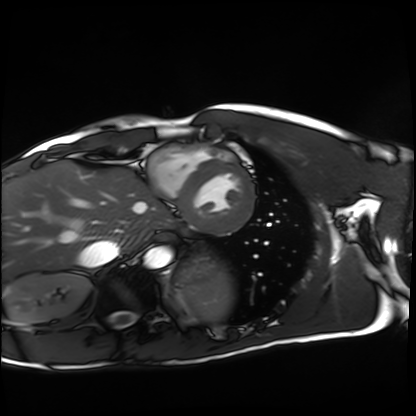
Cardiac MRI. Subject group: healthy volunteer.